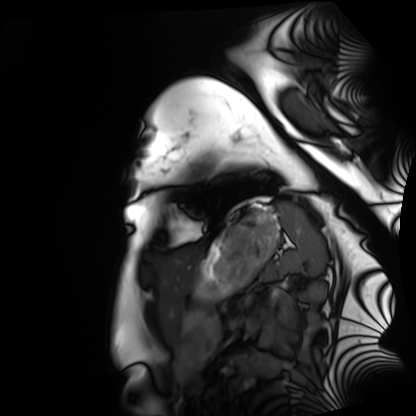
• modality: cardiac MRI
• subject group: healthy volunteer